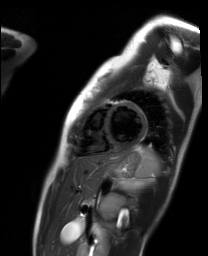
Cardiac MR image of the myocardium.
Subject cohort: healthy volunteer.